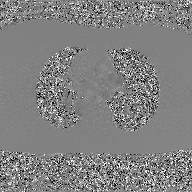
<record>
  <modality>
    <type>2D phase-contrast cine MRI</type>
    <region>ascending aorta</region>
    <reconstruction>GAN super-resolution reconstruction</reconstruction>
  </modality>
</record>